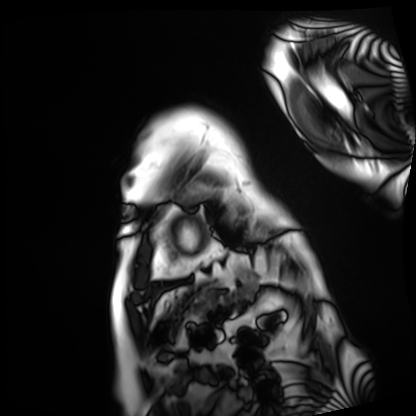
Cardiac MRI. Subject group: patient.